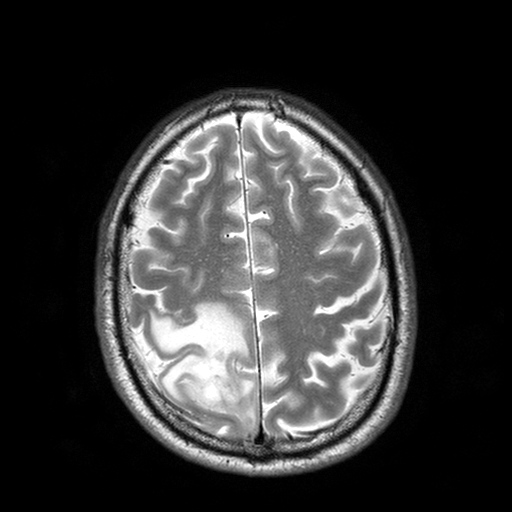
Summary: 3 Tesla brain MRI. Series: T2-weighted turbo spin echo with SENSE. Study: ring-enhancing brain masses.